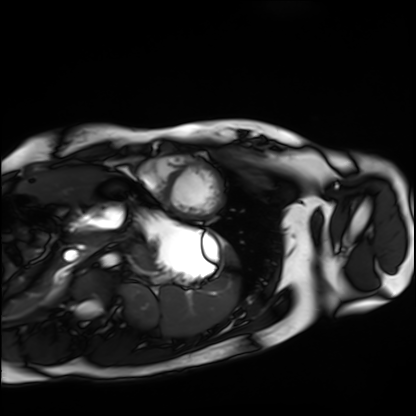
Cardiac MRI.
Subject group: healthy volunteer.